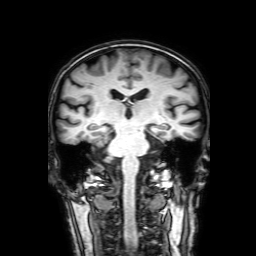
modality: 3 Tesla brain MRI; series: 3D T1-weighted with SENSE; study: ring-enhancing brain masses.